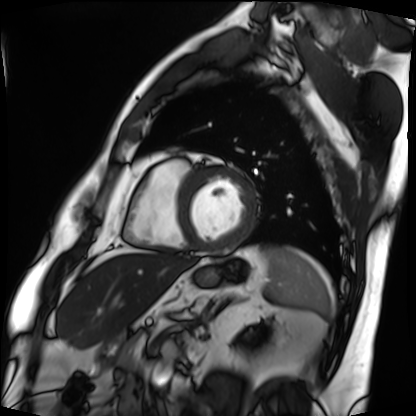
Cardiac MRI.
Subject group: patient.